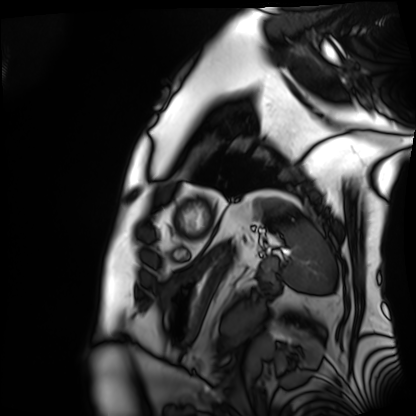
Cardiac MRI. Subject group: patient.